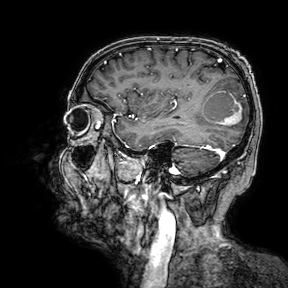
3 Tesla brain MRI. Series: 3D T1-weighted turbo field echo with SENSE. Study: ring-enhancing brain masses.